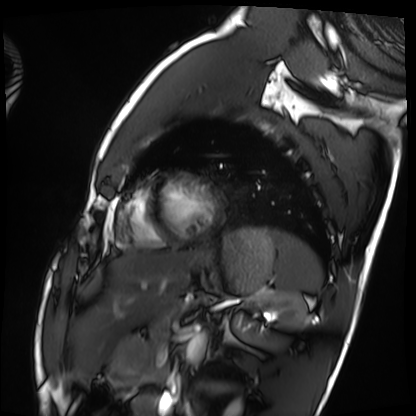
Cardiac MRI.
Subject group: healthy volunteer.